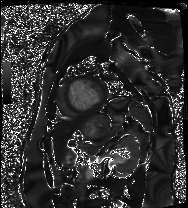
modality = cardiac MRI | subject group = patient.